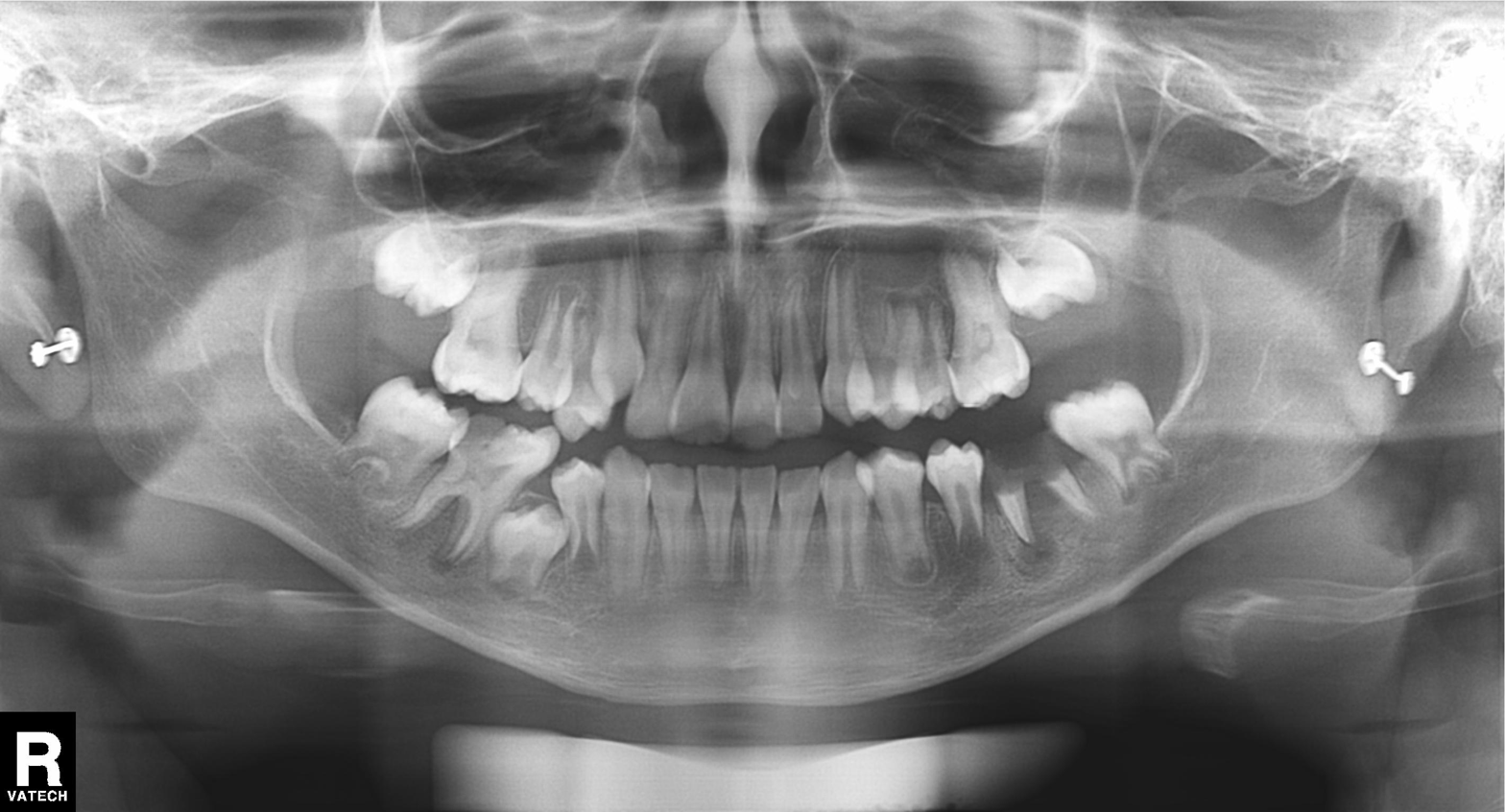
modality: panoramic dental radiograph (orthopantomogram)
finding: alveolar bone loss